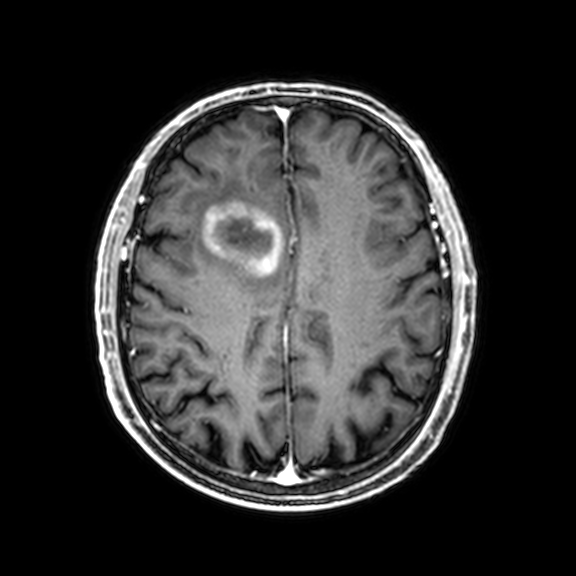
3 Tesla brain MRI. Series: 3D T1-weighted with CLEAR. Study: ring-enhancing brain masses.